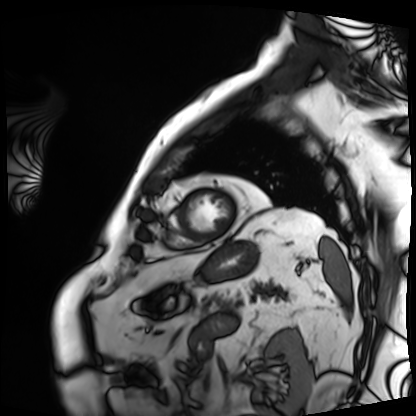
Case:
– modality — cardiac MRI
– subject group — patient